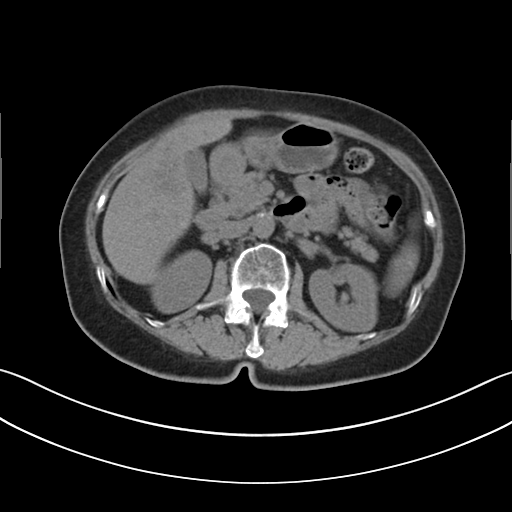
Multiphase abdominal CT, liver, non-contrast phase. Patient: female, age 69.